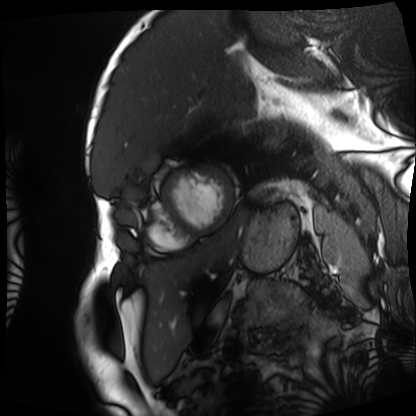
{
  "modality": "cardiac MRI",
  "cohort": "patient"
}